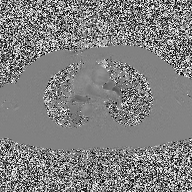
2D phase-contrast cine MRI of the ascending aorta, high-resolution GRAPPA acquisition.